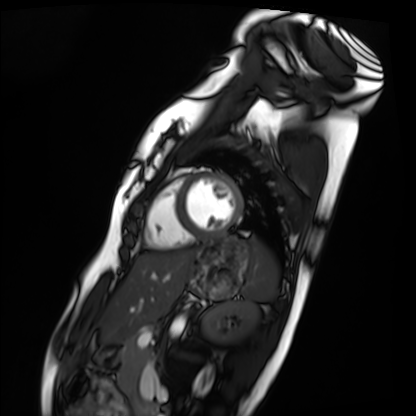
{
  "modality": "cardiac MRI",
  "cohort": "healthy volunteer"
}